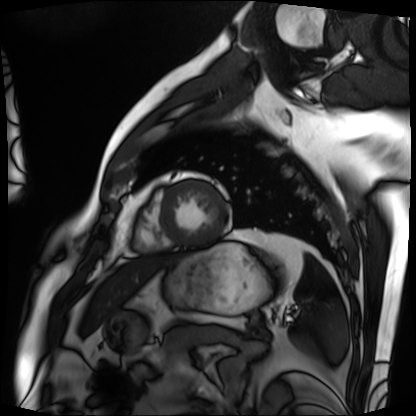
- modality — cardiac MRI
- subject group — patient